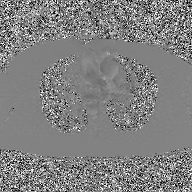
{"modality": {"type": "2D phase-contrast cine MRI", "region": "ascending aorta", "reconstruction": "GAN super-resolution reconstruction"}}